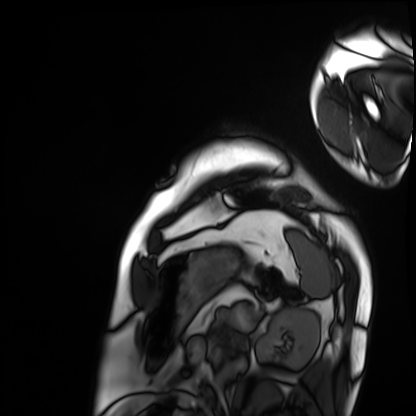
Cardiac MRI. Subject group: patient.